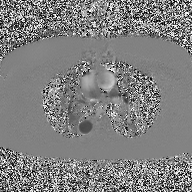
– modality · 2D phase-contrast cine MRI of the ascending aorta